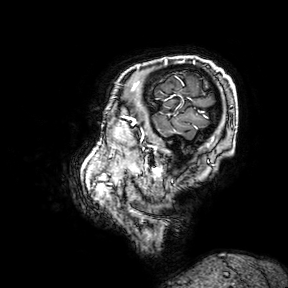
modality:
  type: brain MRI
  field_strength: 3T
series: 3D T1-weighted turbo field echo with SENSE
study_topic: ring-enhancing brain masses